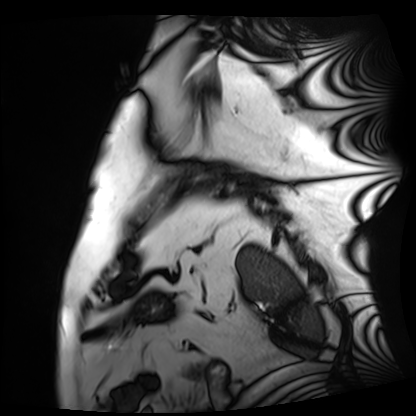
Summary: Cardiac MRI. Subject group: patient.